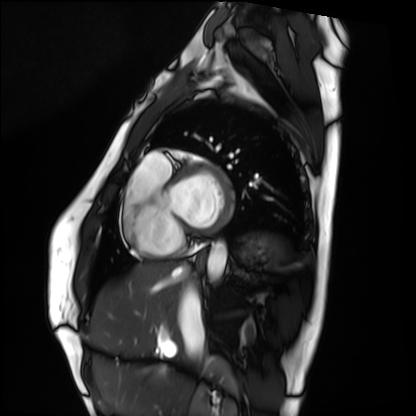
modality: cardiac MRI; subject group: healthy volunteer.